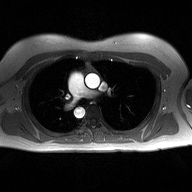
<record>
<modality>
  <type>2D phase-contrast cine MRI</type>
  <region>ascending aorta</region>
  <reconstruction>high-resolution GRAPPA acquisition</reconstruction>
</modality>
</record>